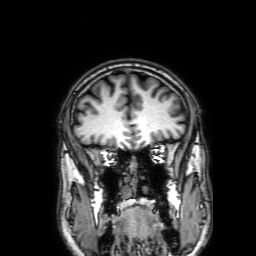
Case summary: 3 Tesla brain MRI. Series: 3D T1-weighted with SENSE. Study: ring-enhancing brain masses.